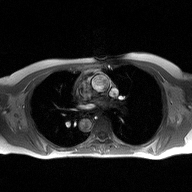
Summary:
2D phase-contrast cine MRI of the ascending aorta, high-resolution GRAPPA acquisition.